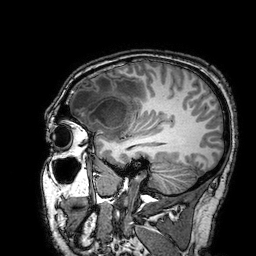
Q: What kind of scan is this?
A: 3 Tesla brain MRI.
Q: Series?
A: 3D T1-weighted turbo field echo with SENSE.
Study: ring-enhancing brain masses.